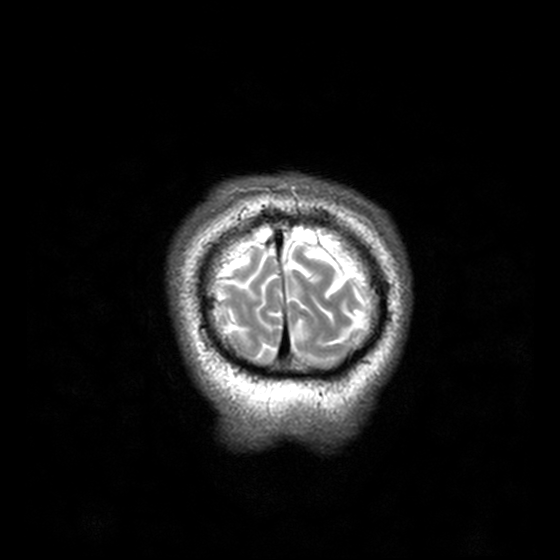
| field | value |
|---|---|
| modality | 3 Tesla brain MRI |
| series | T2-weighted turbo spin echo, 3 mm |
| study | ring-enhancing brain masses |